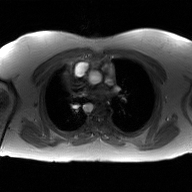
Case summary: 2D phase-contrast cine MRI of the ascending aorta, GAN super-resolution reconstruction.